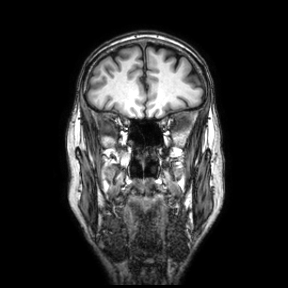
3 Tesla brain MRI. Series: coronal. Study: ring-enhancing brain masses.